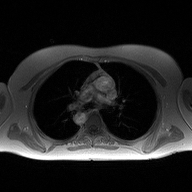
modality — 2D phase-contrast cine MRI of the ascending aorta